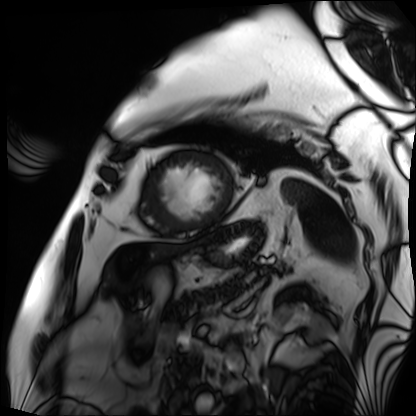
modality: cardiac MRI
cohort: patient